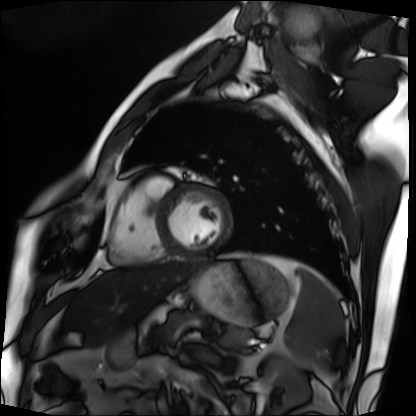
  modality: cardiac MRI
  cohort: patient